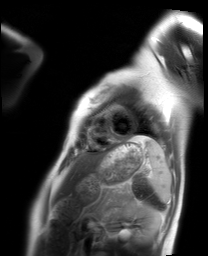
{"modality": "cardiac MRI", "cohort": "healthy volunteer"}